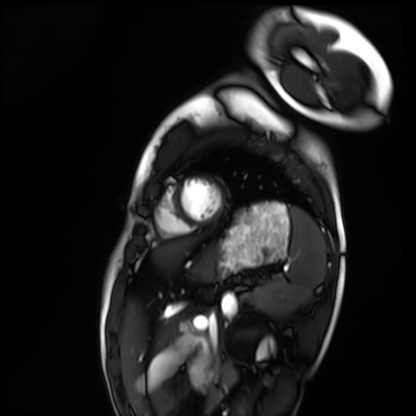
Q: What kind of scan is this?
A: Cardiac MRI.
Subject group: healthy volunteer.